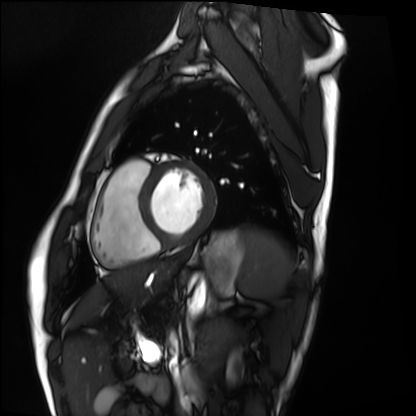
modality: cardiac MRI | subject group: healthy volunteer.